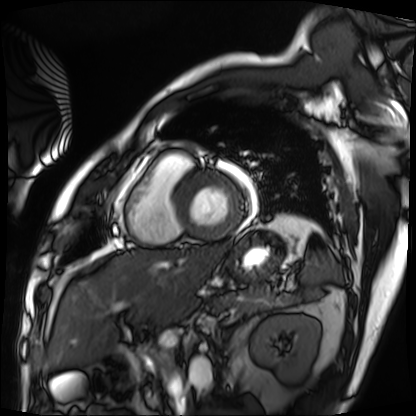
Cardiac MRI. Subject group: patient.